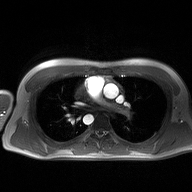
Clinical context:
2D phase-contrast cine MRI of the ascending aorta, high-resolution GRAPPA acquisition.